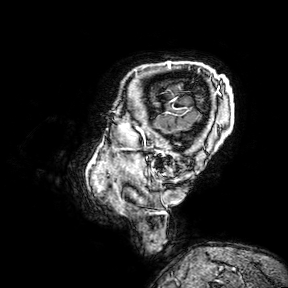
Summary: 3 Tesla brain MRI. Series: 3D T1-weighted turbo field echo with SENSE. Study: ring-enhancing brain masses.